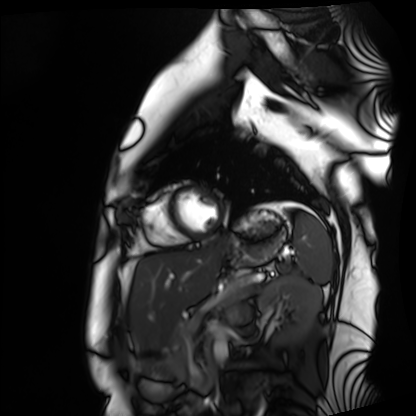
Cardiac MRI.
Subject group: healthy volunteer.